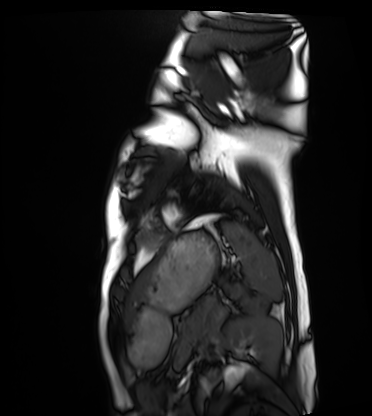
Cardiac MRI.
Subject group: healthy volunteer.